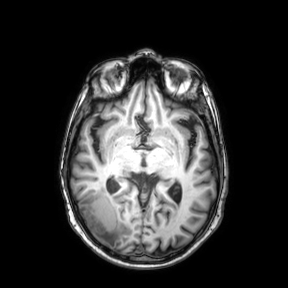
Summary: 3 Tesla brain MRI. Series: axial. Study: ring-enhancing brain masses.